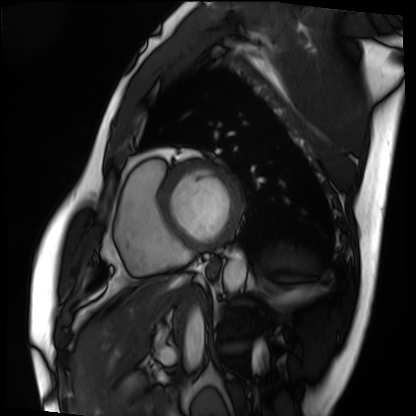
Cardiac MRI.
Subject group: patient.